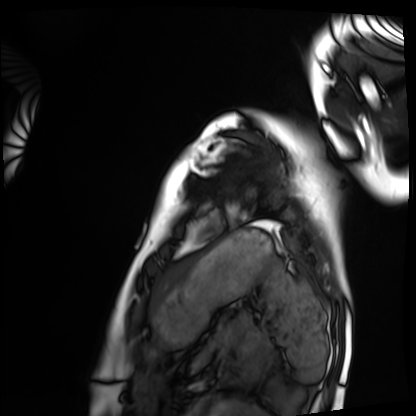
<record>
  <modality>cardiac MRI</modality>
  <cohort>healthy volunteer</cohort>
</record>